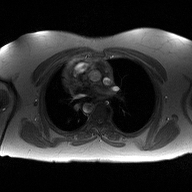
2D phase-contrast cine MRI of the ascending aorta, high-resolution GRAPPA acquisition.